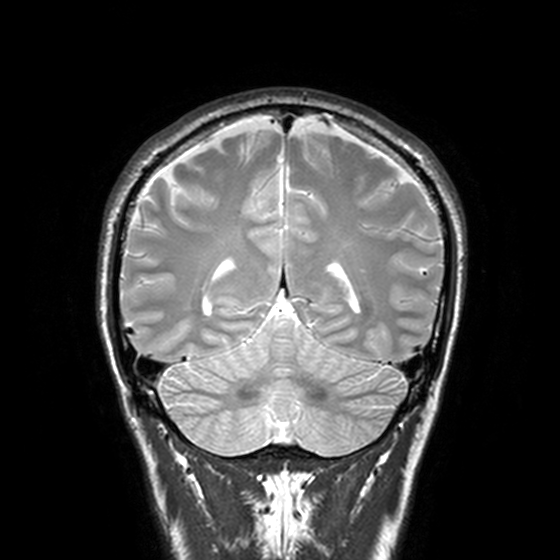
3 Tesla brain MRI. Series: T2-weighted turbo spin echo, 3 mm. Study: ring-enhancing brain masses.